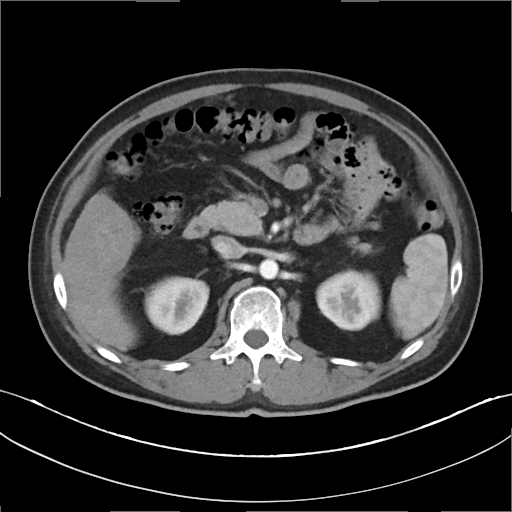
Multiphase abdominal CT, liver, arterial phase. Patient: male, age 46.